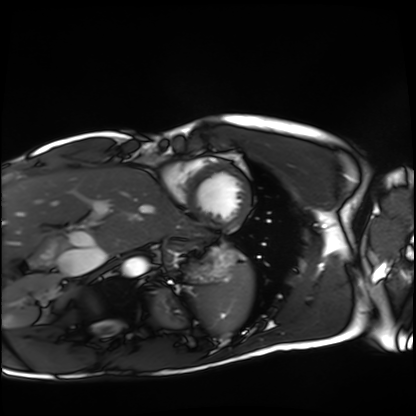
Q: What kind of scan is this?
A: Cardiac MRI.
Subject group: healthy volunteer.